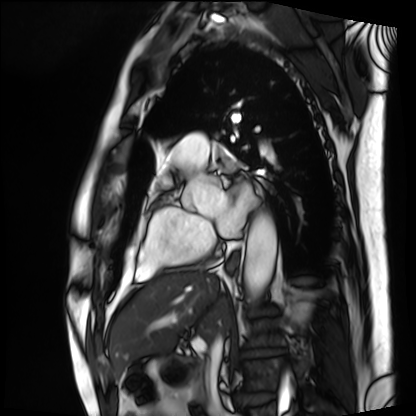
<record>
  <modality>cardiac MRI</modality>
  <cohort>patient</cohort>
</record>